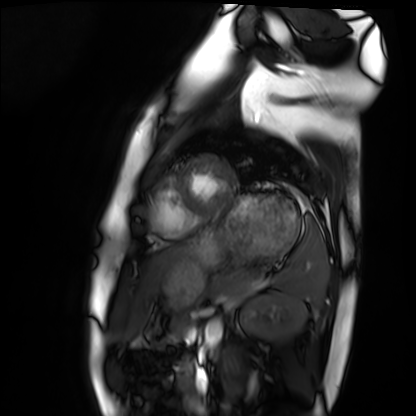
Clinical context: Cardiac MRI. Subject group: healthy volunteer.